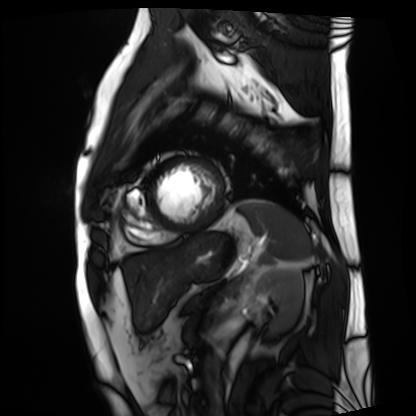
Summary: Cardiac MRI. Subject group: patient.